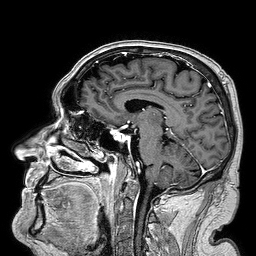
| field | value |
|---|---|
| modality | 3 Tesla brain MRI |
| series | 3D T1-weighted turbo field echo |
| study | ring-enhancing brain masses |